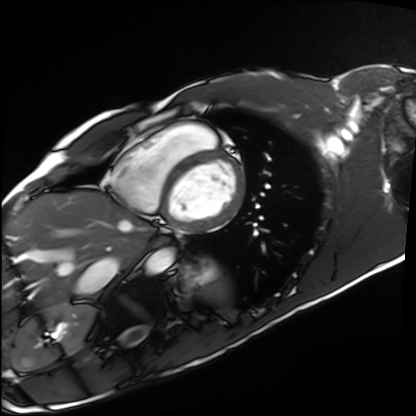
modality: cardiac MRI
cohort: healthy volunteer